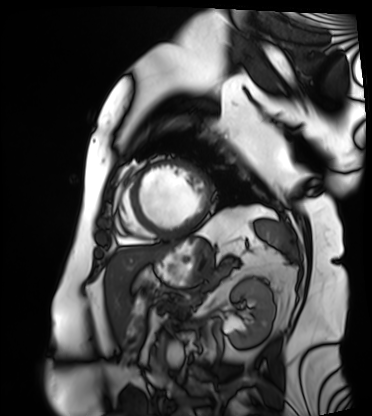
Cardiac MRI.
Subject group: patient.